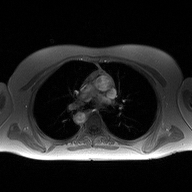
{"modality": {"type": "2D phase-contrast cine MRI", "region": "ascending aorta", "reconstruction": "high-resolution GRAPPA acquisition"}}